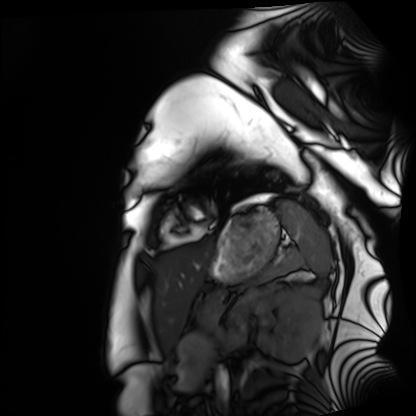
* modality: cardiac MRI
* subject group: healthy volunteer